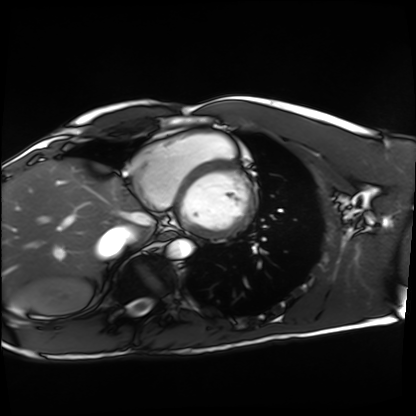
{
  "modality": "cardiac MRI",
  "cohort": "healthy volunteer"
}